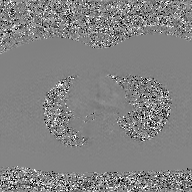
<record>
  <modality>
    <type>2D phase-contrast cine MRI</type>
    <region>ascending aorta</region>
    <reconstruction>GAN super-resolution reconstruction</reconstruction>
  </modality>
</record>